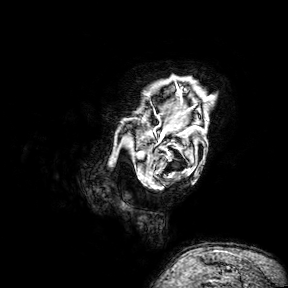
3 Tesla brain MRI.
Series: 3D T1-weighted turbo field echo with SENSE.
Study: ring-enhancing brain masses.